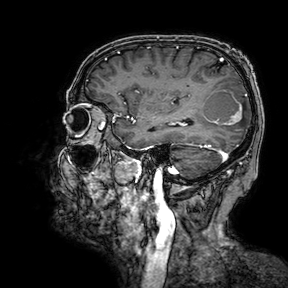
{
  "modality": {
    "type": "brain MRI",
    "field_strength": "3T"
  },
  "series": "3D T1-weighted turbo field echo with SENSE",
  "study_topic": "ring-enhancing brain masses"
}